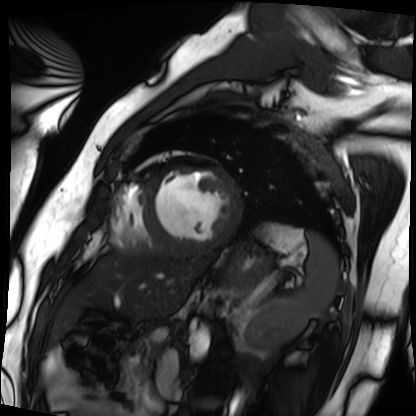
– modality · cardiac MRI
– subject group · patient